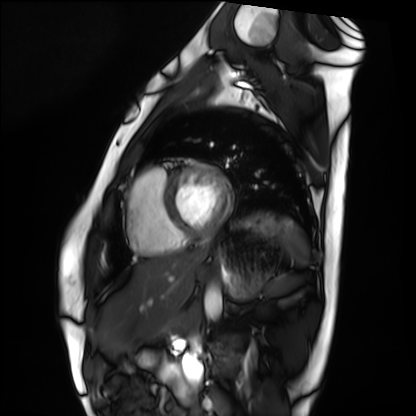
Cardiac MRI. Subject group: healthy volunteer.